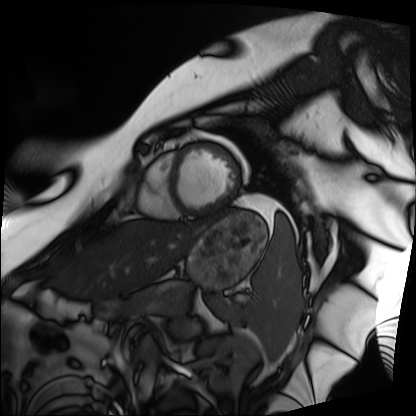
modality: cardiac MRI
cohort: patient